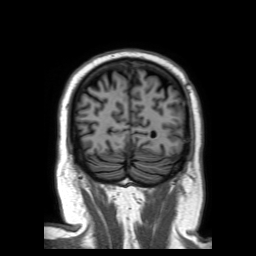
3 Tesla brain MRI.
Series: 3D T1-weighted TFE with SENSE.
Study: ring-enhancing brain masses.